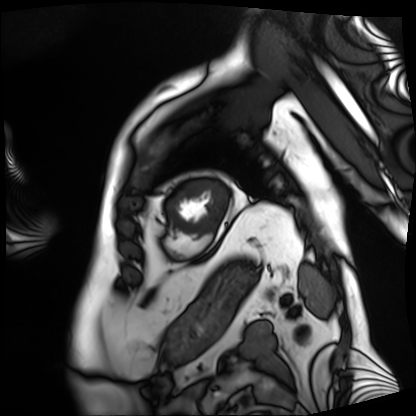
modality = cardiac MRI, subject group = patient.